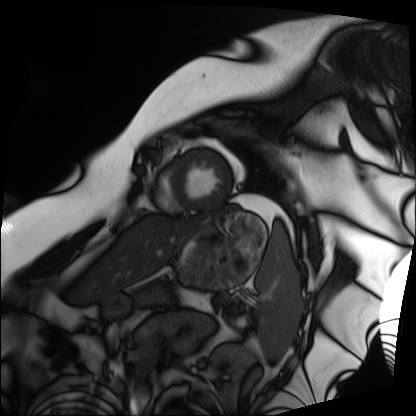
Cardiac MRI. Subject group: patient.